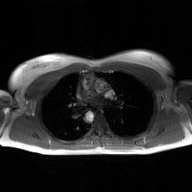
2D phase-contrast cine MRI of the ascending aorta, GAN super-resolution reconstruction.